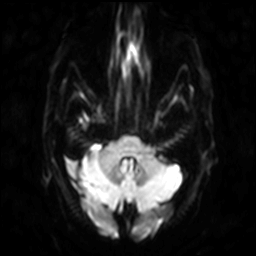
| field | value |
|---|---|
| modality | 3 Tesla brain MRI |
| study | ring-enhancing brain masses |